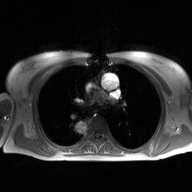
2D phase-contrast cine MRI of the ascending aorta, high-resolution GRAPPA acquisition.